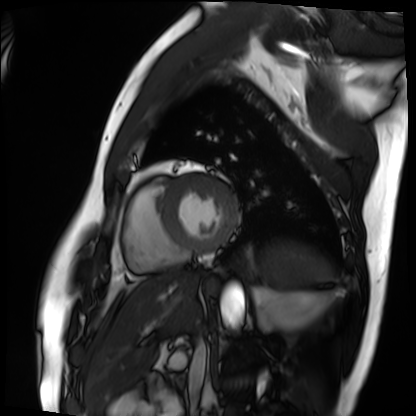
Case:
* modality · cardiac MRI
* subject group · patient